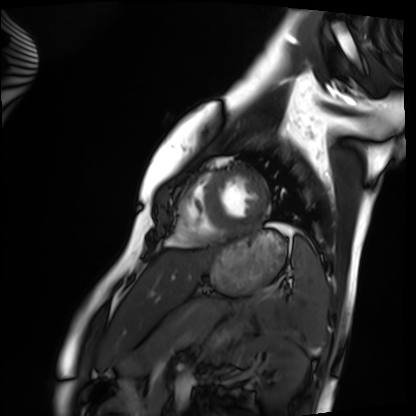
<scan>
<modality>cardiac MRI</modality>
<cohort>healthy volunteer</cohort>
</scan>